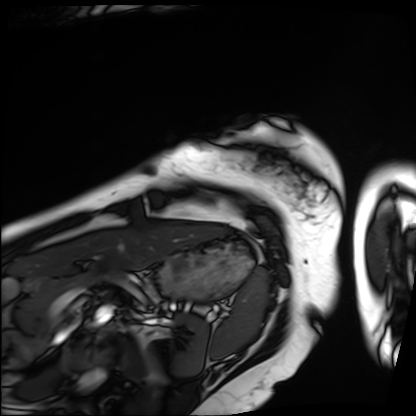
  modality: cardiac MRI
  cohort: patient